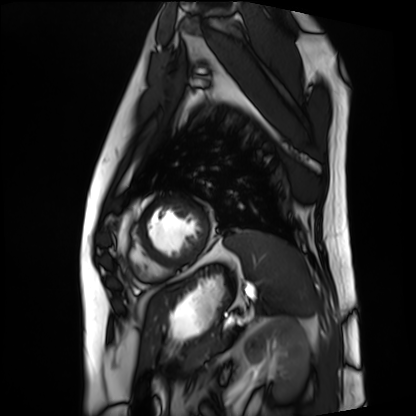
Cardiac MRI. Subject group: patient.